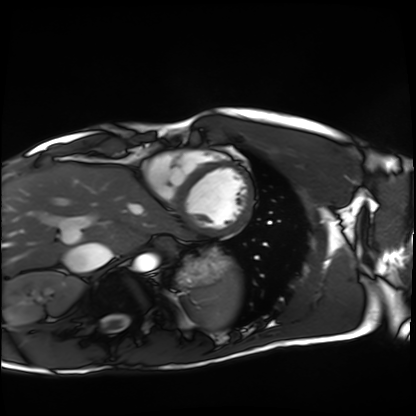
<record>
  <modality>cardiac MRI</modality>
  <cohort>healthy volunteer</cohort>
</record>